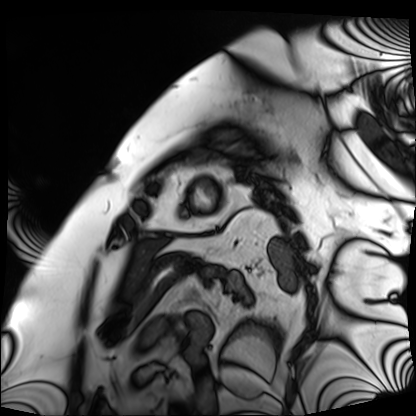
Q: What kind of scan is this?
A: Cardiac MRI.
Subject group: patient.